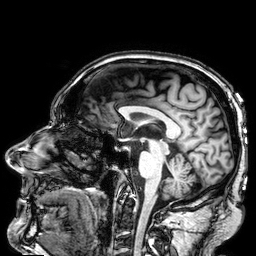
modality = 3 Tesla brain MRI
series = 3D T1-weighted
study = ring-enhancing brain masses